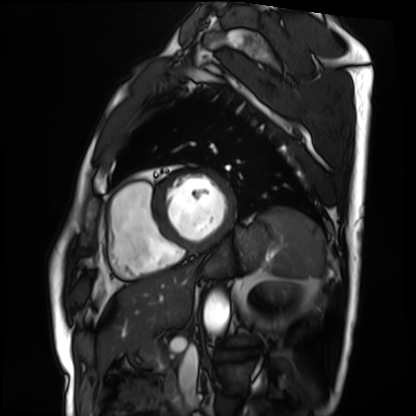
Q: What kind of scan is this?
A: Cardiac MRI.
Subject group: patient.